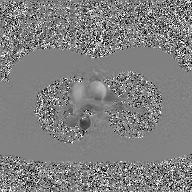
2D phase-contrast cine MRI of the ascending aorta, GAN super-resolution reconstruction.